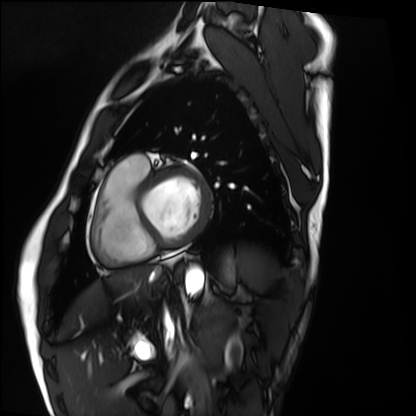
Cardiac MRI.
Subject group: healthy volunteer.